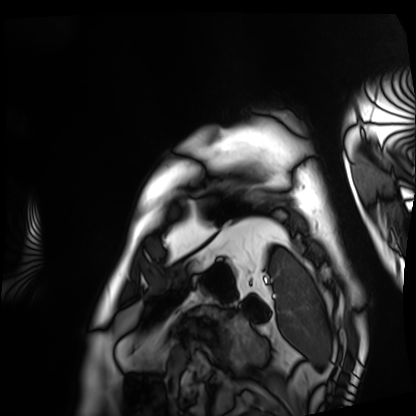
modality = cardiac MRI; subject group = patient.